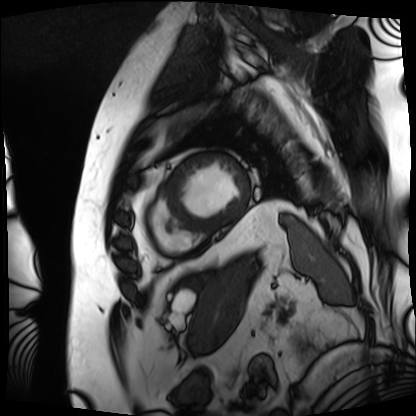
Case:
* modality · cardiac MRI
* subject group · patient